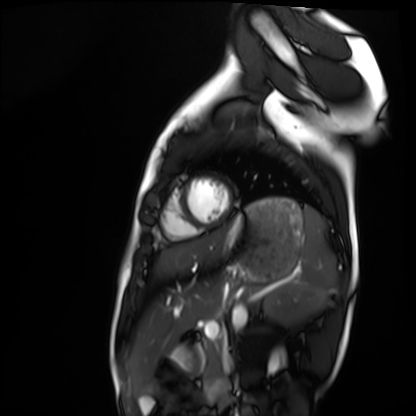
Q: What kind of scan is this?
A: Cardiac MRI.
Subject group: healthy volunteer.